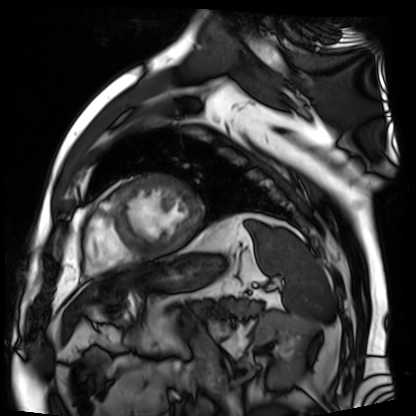
| field | value |
|---|---|
| modality | cardiac MR image of the myocardium |
| subject cohort | cardiac patient |